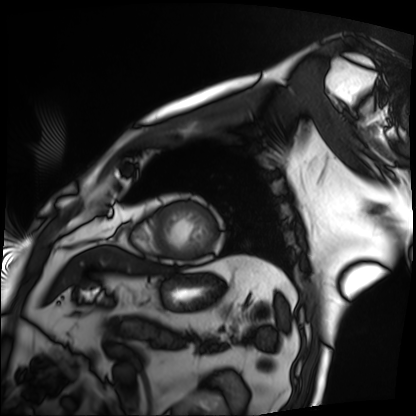
| field | value |
|---|---|
| modality | cardiac MRI |
| subject group | patient |